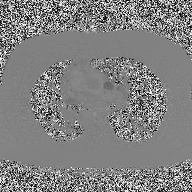
2D phase-contrast cine MRI of the ascending aorta, high-resolution GRAPPA acquisition.